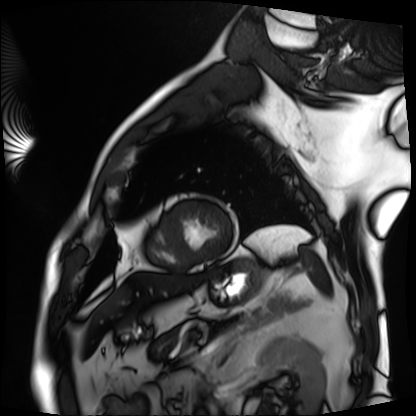
Summary:
Cardiac MRI. Subject group: patient.